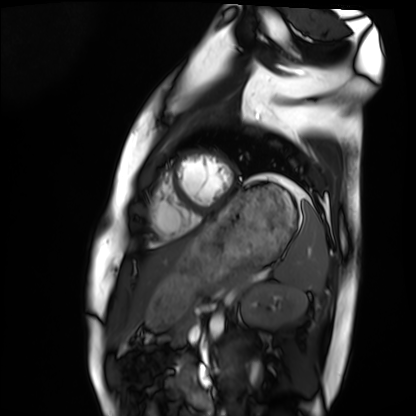
Cardiac MRI. Subject group: healthy volunteer.